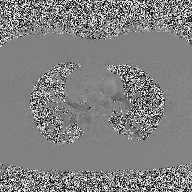
Summary: 2D phase-contrast cine MRI of the ascending aorta, high-resolution GRAPPA acquisition.